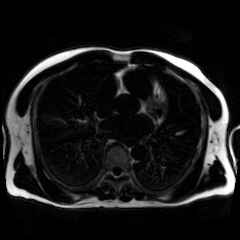
Q: What kind of scan is this?
A: Chemical-shift-encoded cardiac MRI.